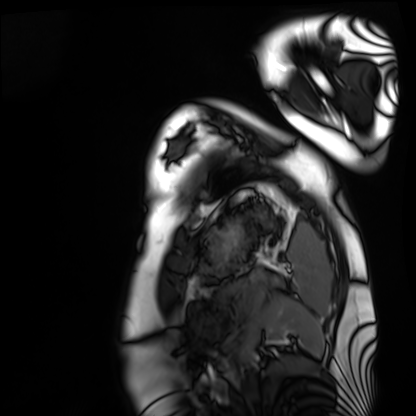
Q: What kind of scan is this?
A: Cardiac MRI.
Subject group: healthy volunteer.